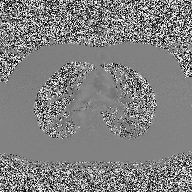
{"modality": {"type": "2D phase-contrast cine MRI", "region": "ascending aorta", "reconstruction": "high-resolution GRAPPA acquisition"}}